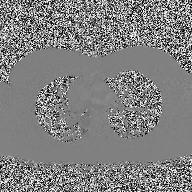
{
  "modality": {
    "type": "2D phase-contrast cine MRI",
    "region": "ascending aorta",
    "reconstruction": "high-resolution GRAPPA acquisition"
  }
}